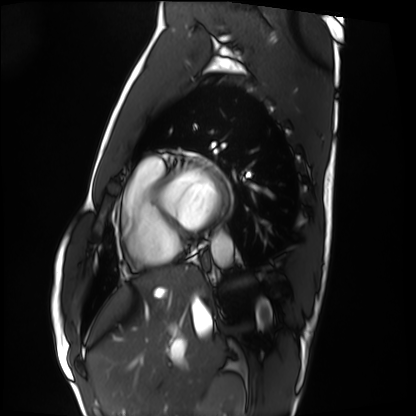
<scan>
  <modality>cardiac MRI</modality>
  <cohort>healthy volunteer</cohort>
</scan>